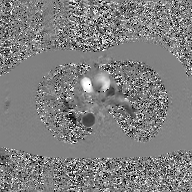
Case:
- modality — 2D phase-contrast cine MRI of the ascending aorta, GAN super-resolution reconstruction